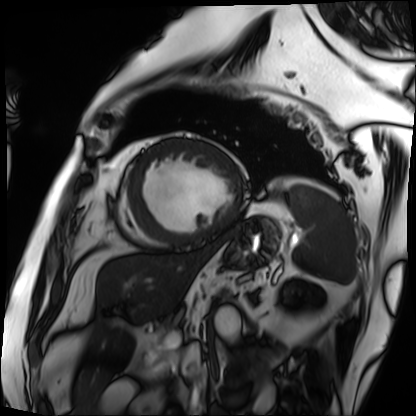
Q: What kind of scan is this?
A: Cardiac MRI.
Subject group: patient.